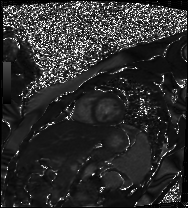
Cardiac MR image of the myocardium. Subject cohort: healthy volunteer.